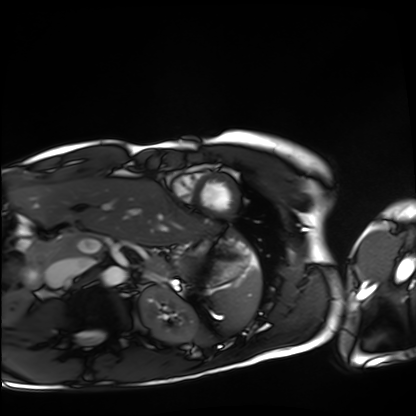
Cardiac MRI. Subject group: healthy volunteer.